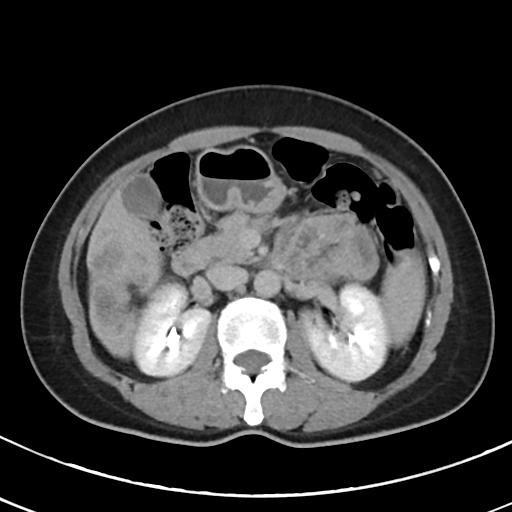
Case summary:
Multiphase abdominal CT, liver, delayed phase. Patient: female, age 44. History: viral hepatitis.